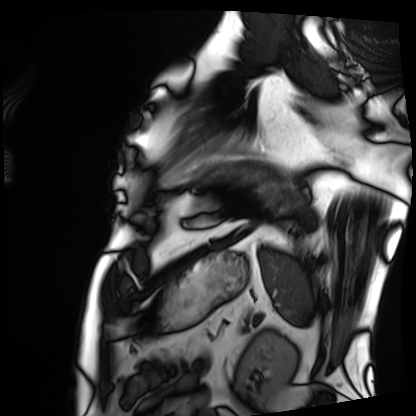
modality=cardiac MRI; subject group=patient.